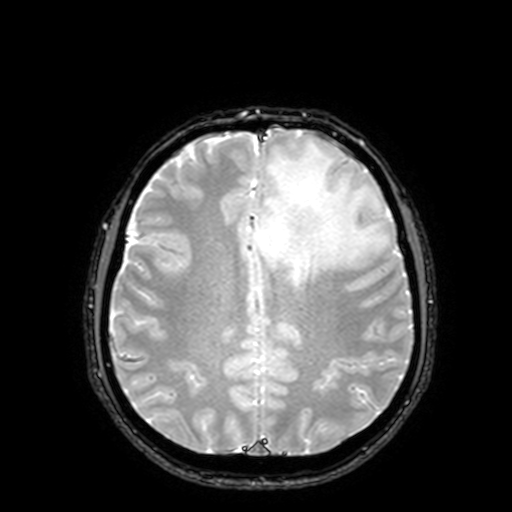
– modality — 3 Tesla brain MRI
– series — T2-weighted fast field echo with SENSE
– study — ring-enhancing brain masses